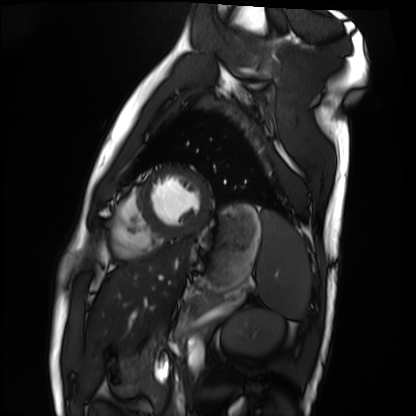
<scan>
<modality>cardiac MRI</modality>
<cohort>healthy volunteer</cohort>
</scan>